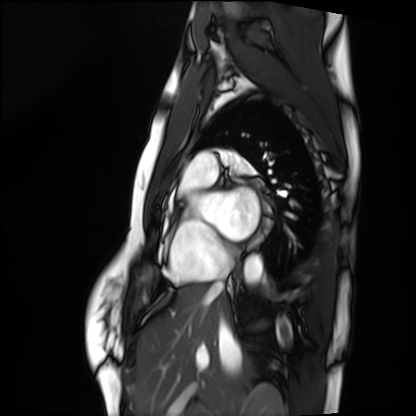
{"modality": "cardiac MRI", "cohort": "healthy volunteer"}